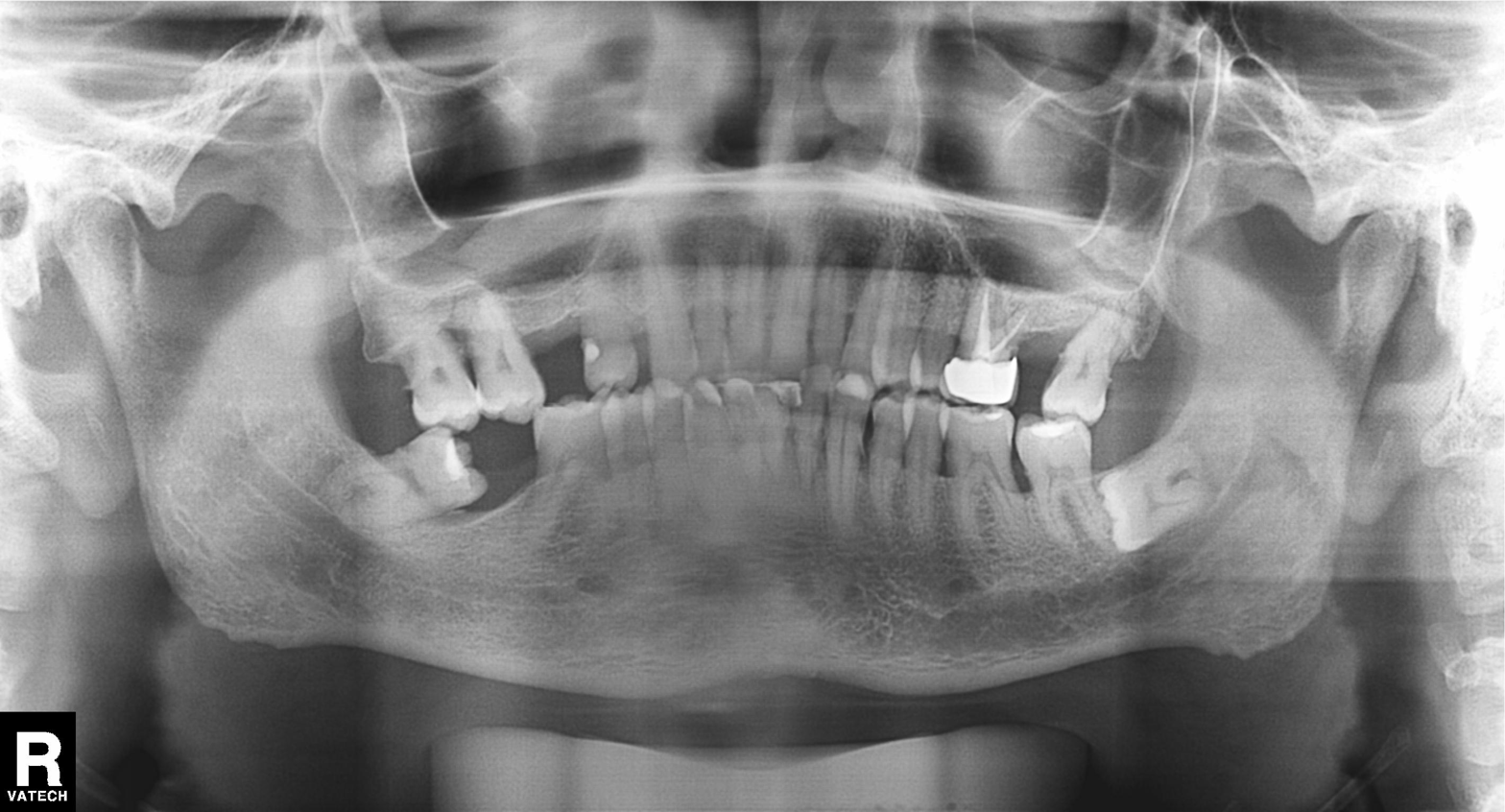
{
  "modality": "panoramic dental radiograph (orthopantomogram)",
  "finding": "dental caries (cavities)"
}